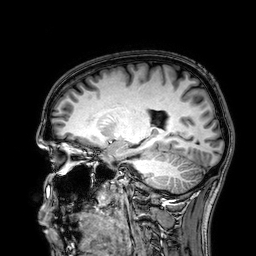
Summary:
3 Tesla brain MRI. Series: 3D T1-weighted. Study: ring-enhancing brain masses.